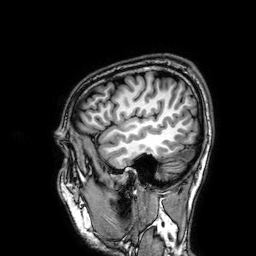
3 Tesla brain MRI.
Series: 3D T1-weighted.
Study: ring-enhancing brain masses.